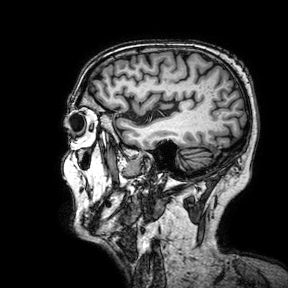
modality: 3 Tesla brain MRI | series: 3D T1-weighted turbo field echo with SENSE | study: ring-enhancing brain masses.